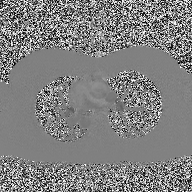
2D phase-contrast cine MRI of the ascending aorta, high-resolution GRAPPA acquisition.